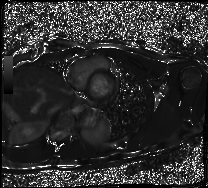
Q: What kind of scan is this?
A: Cardiac MRI.
Subject group: healthy volunteer.